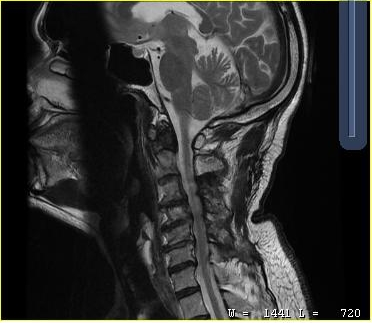
Clinical context:
MRI of the cervical spine. Study: cervical spondylosis.